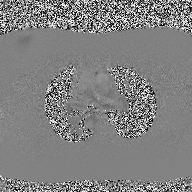
Q: What kind of scan is this?
A: 2D phase-contrast cine MRI of the ascending aorta.